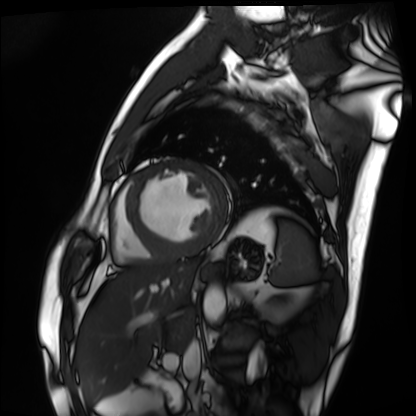
Q: What kind of scan is this?
A: Cardiac MRI.
Subject group: patient.